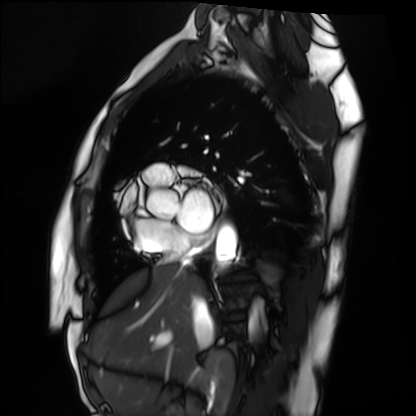
Cardiac MRI. Subject group: healthy volunteer.